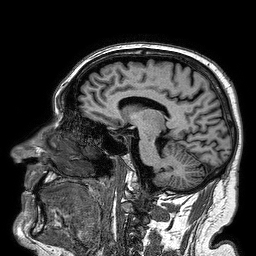
3 Tesla brain MRI.
Series: 3D T1-weighted turbo field echo.
Study: ring-enhancing brain masses.